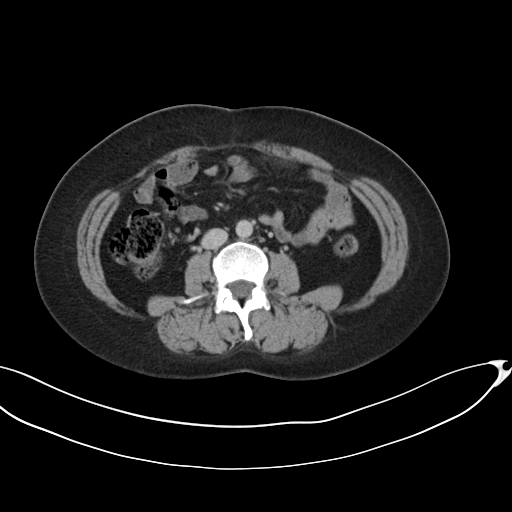
Summary:
Multiphase abdominal CT, liver, delayed phase. Patient: female, age 42.